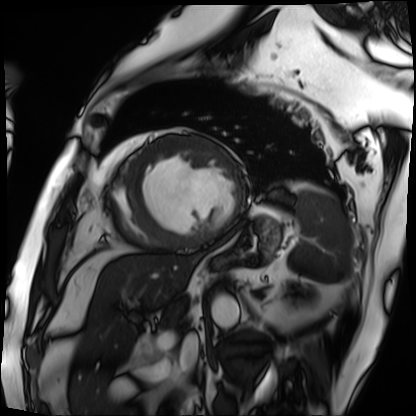
Summary: Cardiac MRI. Subject group: patient.